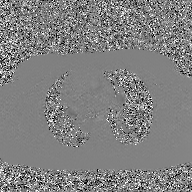
2D phase-contrast cine MRI of the ascending aorta, GAN super-resolution reconstruction.